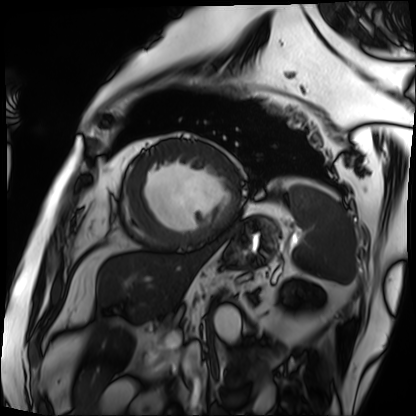
Cardiac MRI. Subject group: patient.